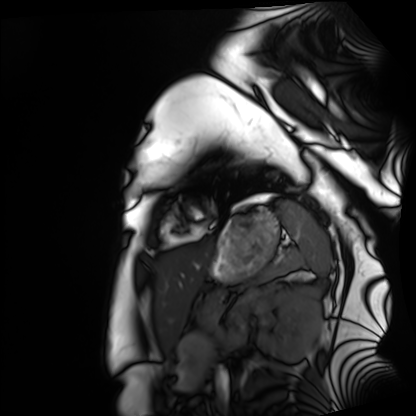
{"modality": "cardiac MRI", "cohort": "healthy volunteer"}